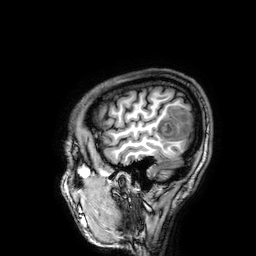
Q: What kind of scan is this?
A: 3 Tesla brain MRI.
Q: Series?
A: 3D T1-weighted.
Study: ring-enhancing brain masses.